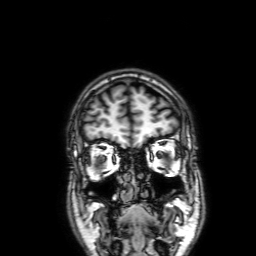
<study>
<modality>
  <type>brain MRI</type>
  <field_strength>3T</field_strength>
</modality>
<series>3D T1-weighted with SENSE</series>
<study_topic>ring-enhancing brain masses</study_topic>
</study>